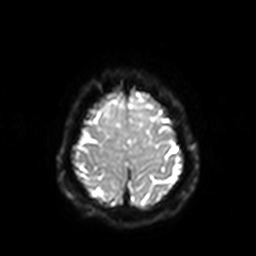
| field | value |
|---|---|
| modality | 3 Tesla brain MRI |
| series | diffusion-weighted imaging with SENSE (WIP) |
| study | ring-enhancing brain masses |